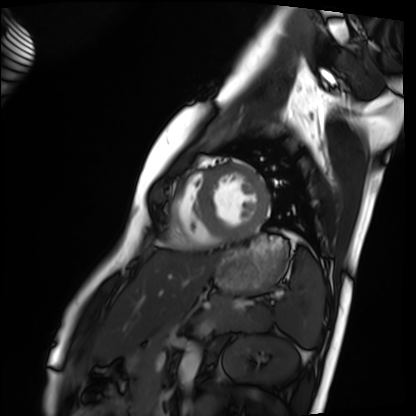
{
  "modality": "cardiac MRI",
  "cohort": "healthy volunteer"
}